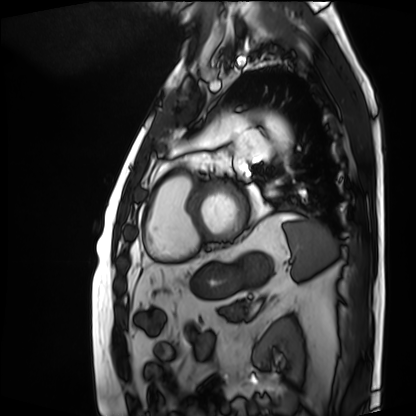
modality: cardiac MRI; subject group: patient.